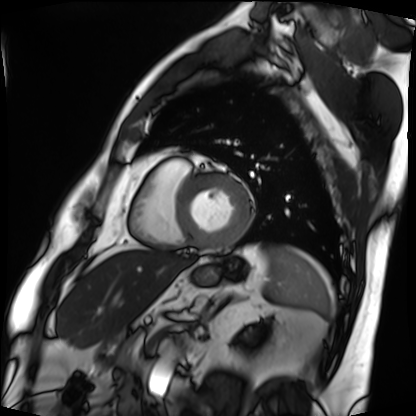
  modality: cardiac MRI
  cohort: patient